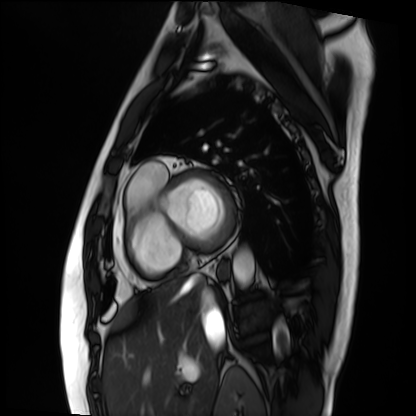
Clinical context:
Cardiac MRI. Subject group: patient.